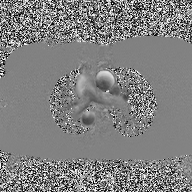
Clinical context:
2D phase-contrast cine MRI of the ascending aorta, high-resolution GRAPPA acquisition.